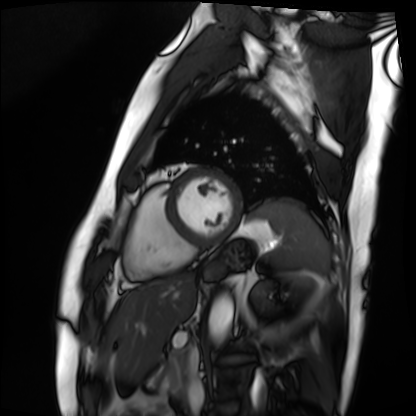
Summary:
Cardiac MRI. Subject group: patient.